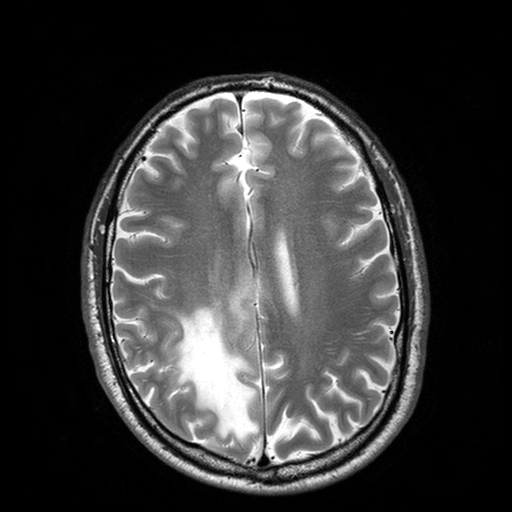
Summary:
3 Tesla brain MRI. Study: ring-enhancing brain masses.